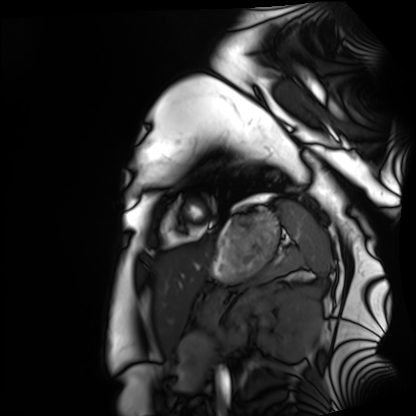
modality = cardiac MRI
subject group = healthy volunteer